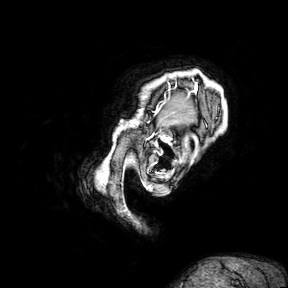
Q: What kind of scan is this?
A: 3 Tesla brain MRI.
Q: Series?
A: 3D T1-weighted turbo field echo with SENSE.
Study: ring-enhancing brain masses.